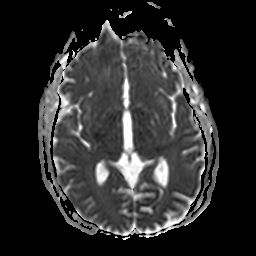
3 Tesla brain MRI.
Series: apparent diffusion coefficient (ADC) map.
Study: ring-enhancing brain masses.